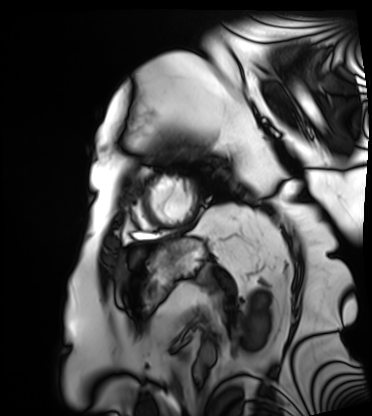
• modality: cardiac MRI
• subject group: patient